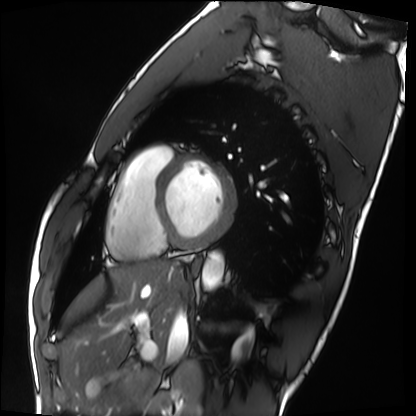
modality = cardiac MRI
subject group = healthy volunteer